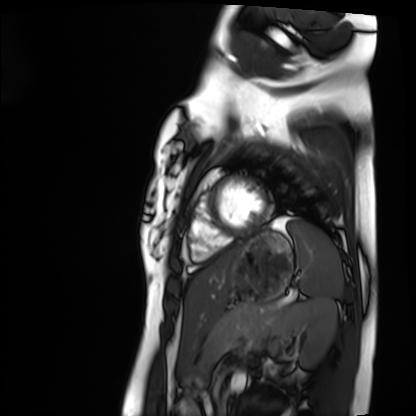
Cardiac MRI. Subject group: healthy volunteer.